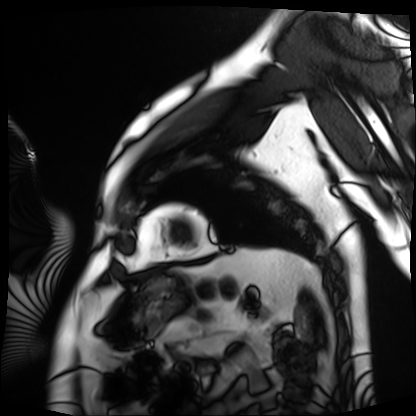
modality: cardiac MRI; subject group: patient.